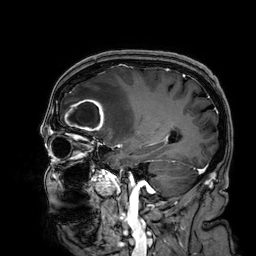
| field | value |
|---|---|
| modality | 3 Tesla brain MRI |
| series | 3D T1-weighted |
| study | ring-enhancing brain masses |